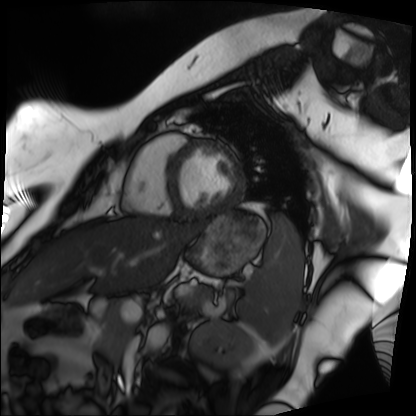
modality: cardiac MRI | subject group: patient.